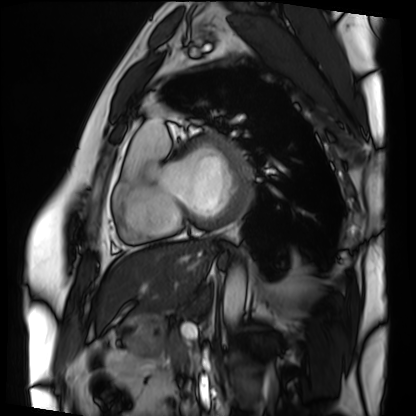
Summary: Cardiac MRI. Subject group: patient.